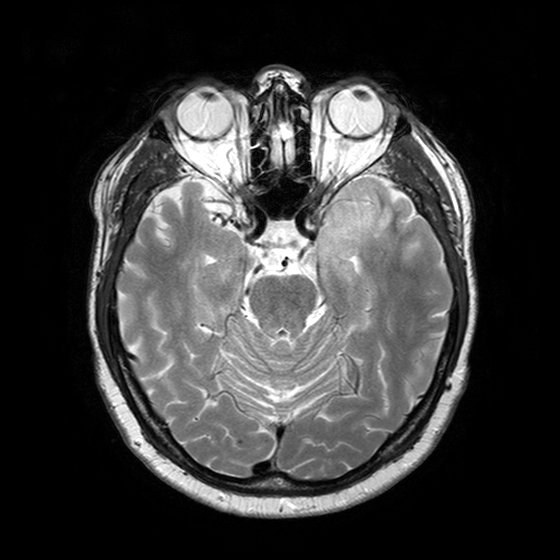
Summary: 3 Tesla brain MRI. Series: T2-weighted turbo spin echo with SENSE. Study: ring-enhancing brain masses.